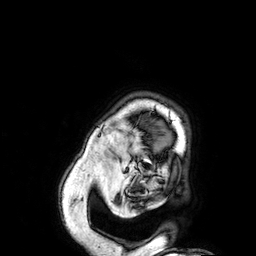
3 Tesla brain MRI. Series: 3D T1-weighted. Study: ring-enhancing brain masses.